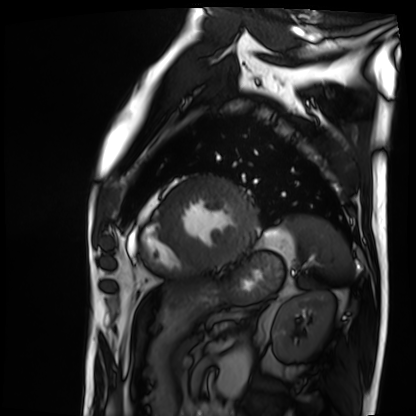
Q: What kind of scan is this?
A: Cardiac MRI.
Subject group: patient.